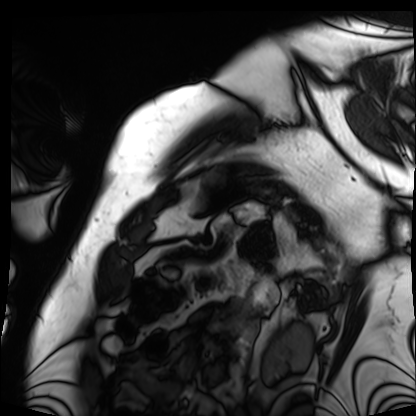
Cardiac MRI.
Subject group: patient.